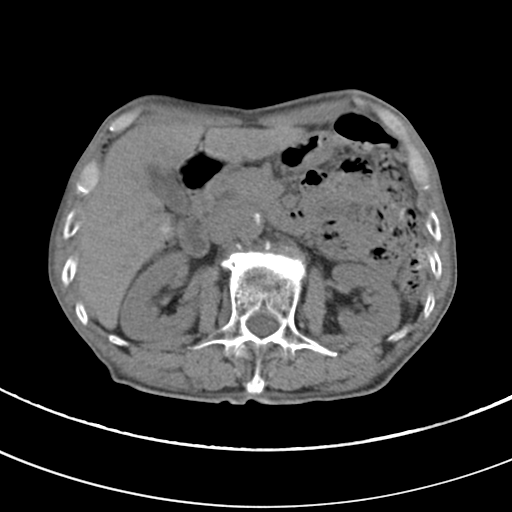
modality: multiphase abdominal CT, liver, non-contrast phase | patient: male, age 68 | history: viral hepatitis.